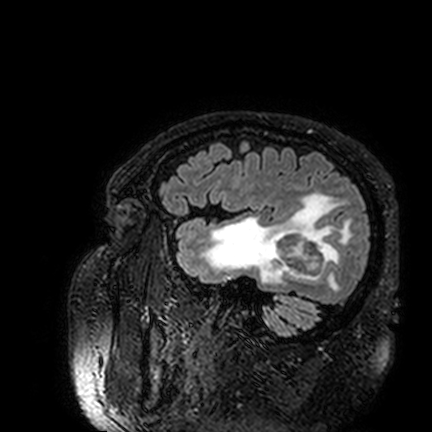
3 Tesla brain MRI.
Study: ring-enhancing brain masses.